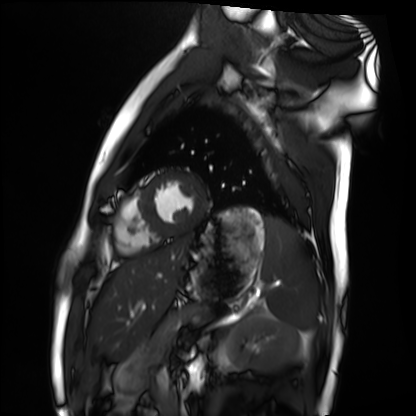
Clinical context:
Cardiac MRI. Subject group: healthy volunteer.